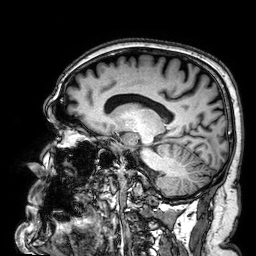
modality — 3 Tesla brain MRI | series — 3D T1-weighted | study — ring-enhancing brain masses.